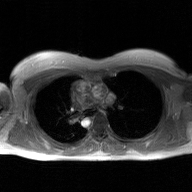
modality — 2D phase-contrast cine MRI of the ascending aorta, GAN super-resolution reconstruction.